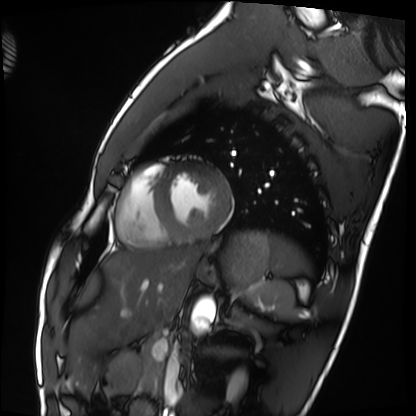
modality: cardiac MRI | subject group: healthy volunteer.